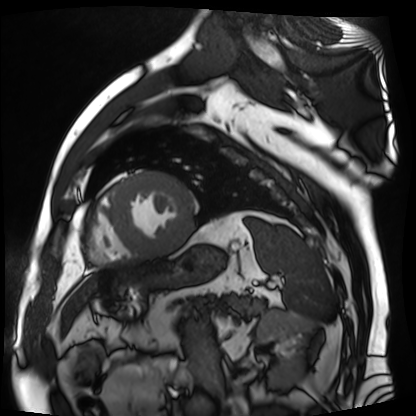
modality=cardiac MR image of the myocardium; subject cohort=cardiac patient.